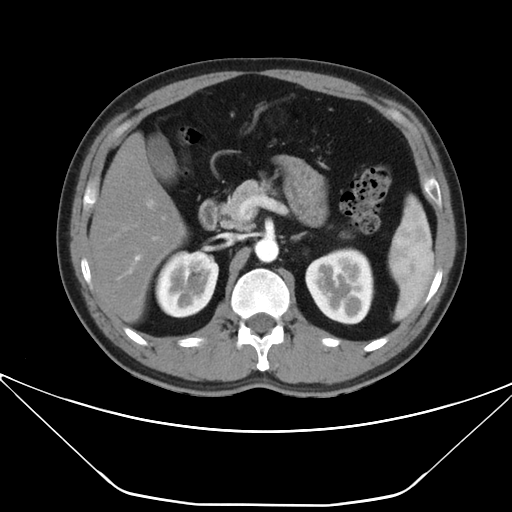
Clinical context:
Multiphase abdominal CT, liver, arterial phase. Patient: male, age 38.